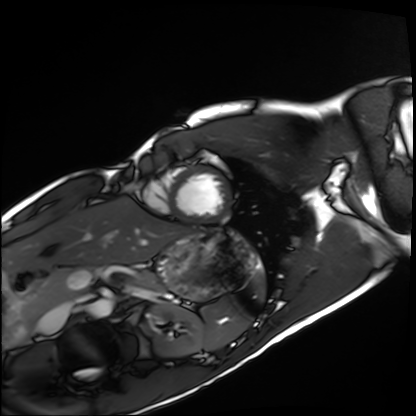
{"modality": "cardiac MRI", "cohort": "healthy volunteer"}